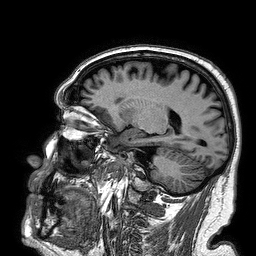
3 Tesla brain MRI. Series: 3D T1-weighted turbo field echo. Study: ring-enhancing brain masses.